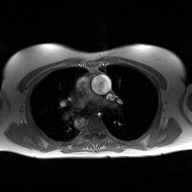
<record>
  <modality>
    <type>2D phase-contrast cine MRI</type>
    <region>ascending aorta</region>
    <reconstruction>high-resolution GRAPPA acquisition</reconstruction>
  </modality>
</record>